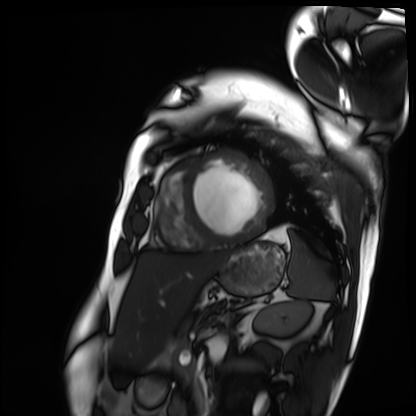
modality = cardiac MRI, subject group = patient.